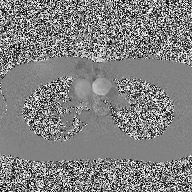
<record>
<modality>
  <type>2D phase-contrast cine MRI</type>
  <region>ascending aorta</region>
  <reconstruction>high-resolution GRAPPA acquisition</reconstruction>
</modality>
</record>